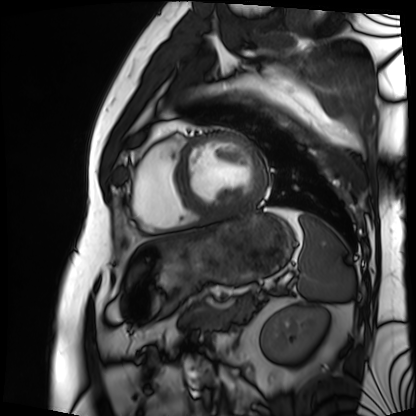
Cardiac MRI.
Subject group: patient.